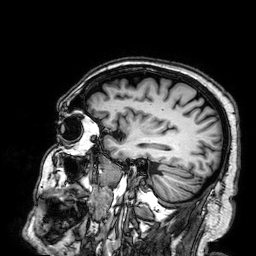
| field | value |
|---|---|
| modality | 3 Tesla brain MRI |
| series | 3D T1-weighted |
| study | ring-enhancing brain masses |